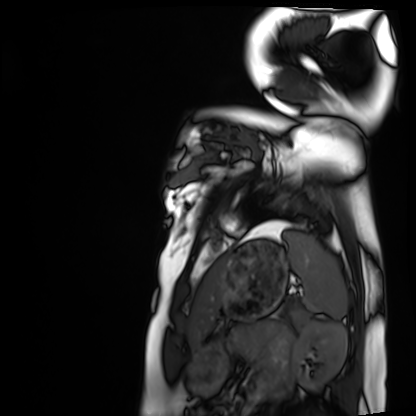
Q: What kind of scan is this?
A: Cardiac MRI.
Subject group: healthy volunteer.